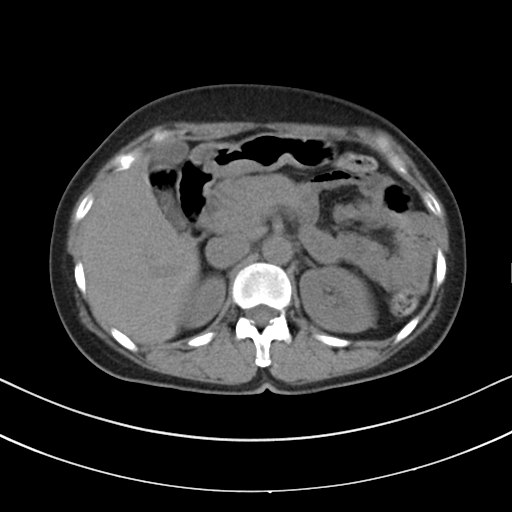
{
  "modality": {
    "type": "multiphase abdominal CT",
    "region": "liver",
    "phase": "non-contrast"
  },
  "patient": {
    "sex": "female",
    "age": 61
  }
}